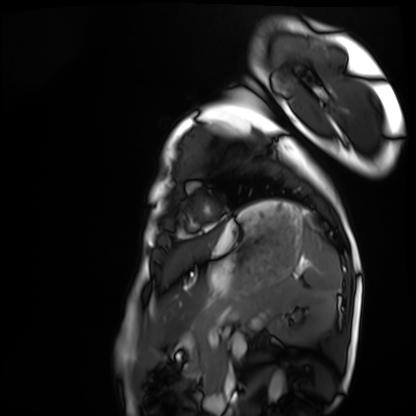
Clinical context: Cardiac MRI. Subject group: healthy volunteer.